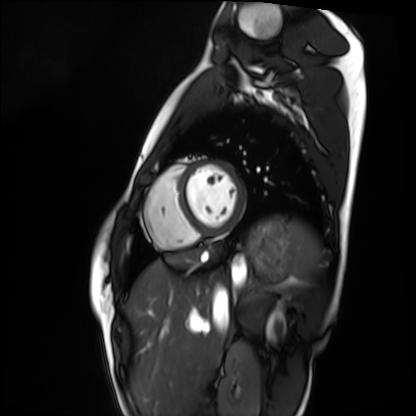
| field | value |
|---|---|
| modality | cardiac MRI |
| subject group | healthy volunteer |